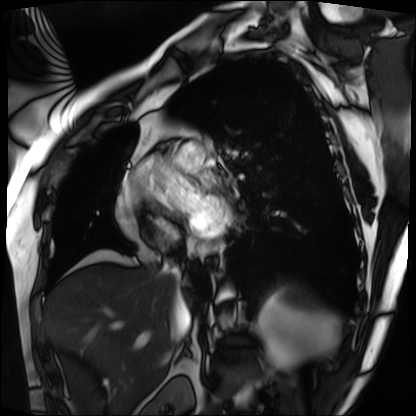
modality — cardiac MRI | subject group — patient.